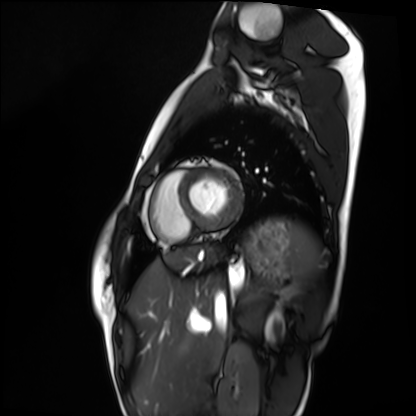
Cardiac MRI. Subject group: healthy volunteer.